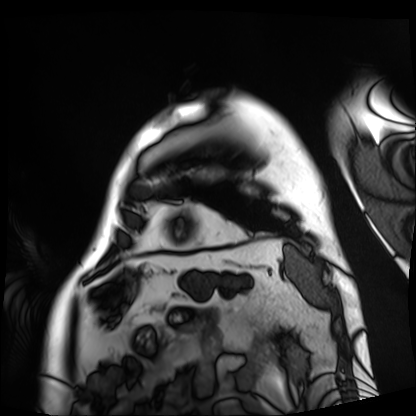
Summary: Cardiac MRI. Subject group: patient.